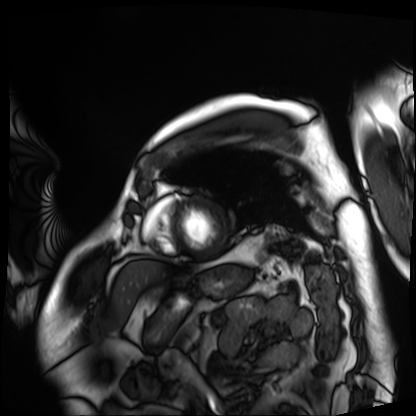
<record>
  <modality>cardiac MRI</modality>
  <cohort>patient</cohort>
</record>